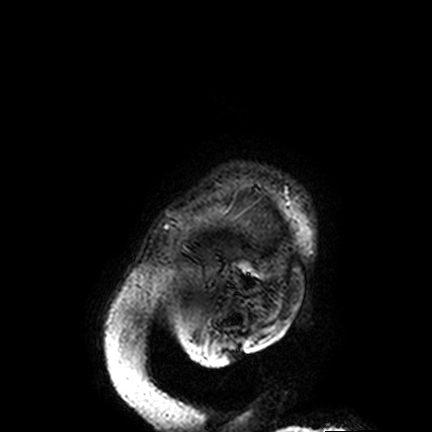
3 Tesla brain MRI.
Series: FLAIR VISTA.
Study: ring-enhancing brain masses.